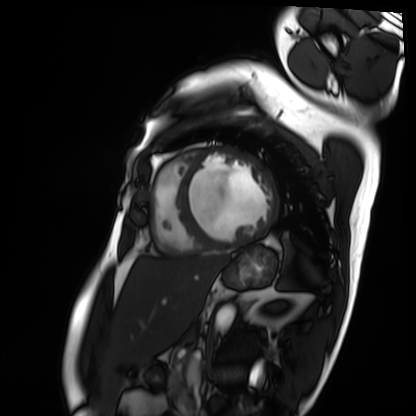
Cardiac MRI. Subject group: patient.